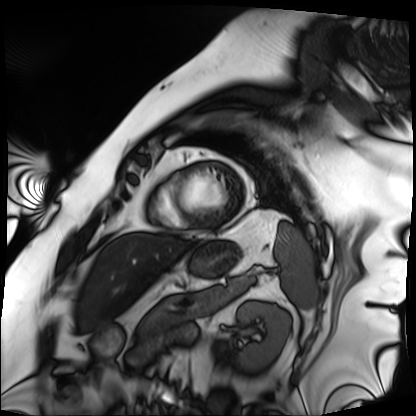
Cardiac MRI.
Subject group: patient.